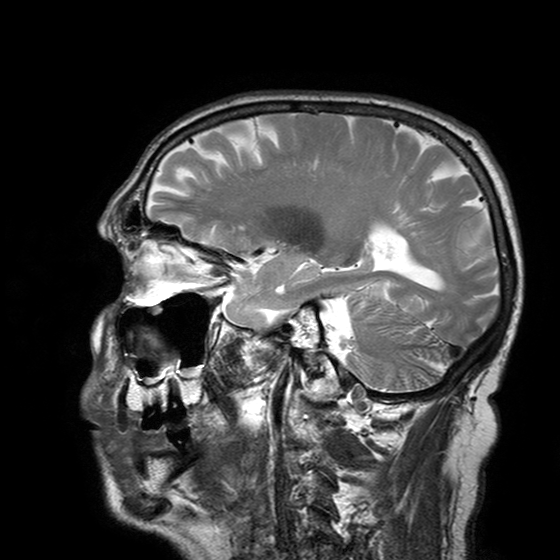
3 Tesla brain MRI. Series: T2-weighted turbo spin echo with SENSE. Study: ring-enhancing brain masses.